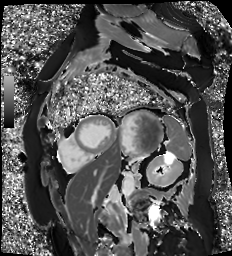
Cardiac MR image of the myocardium.
Subject cohort: cardiac patient.